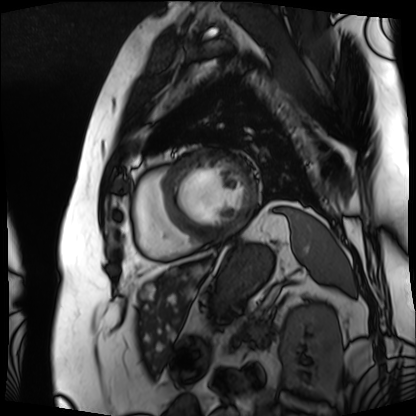
<case>
  <modality>cardiac MRI</modality>
  <cohort>patient</cohort>
</case>